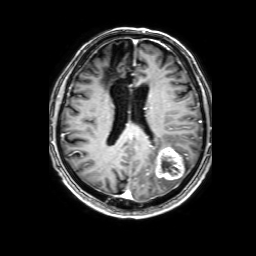
3 Tesla brain MRI. Series: 3D T1-weighted with SENSE. Study: ring-enhancing brain masses.